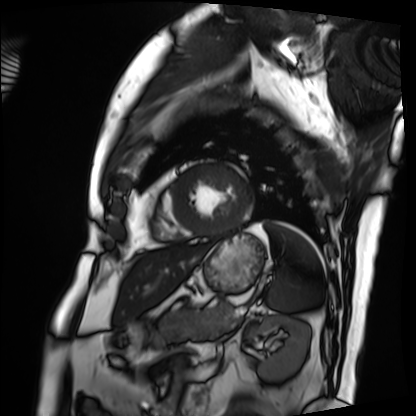
Cardiac MRI. Subject group: patient.